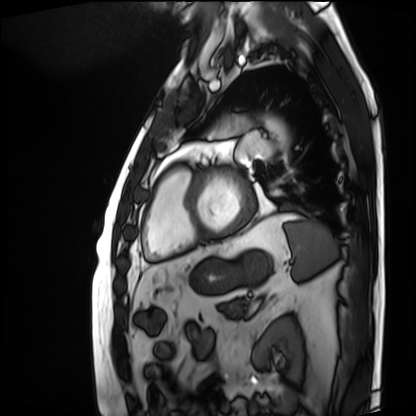
Cardiac MRI.
Subject group: patient.